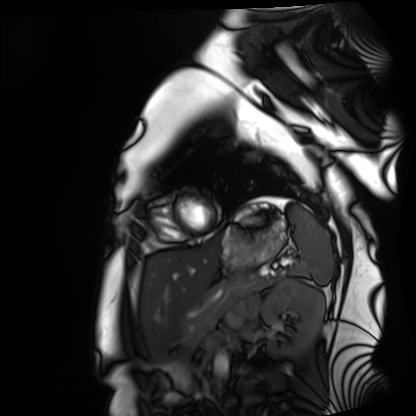
Q: What kind of scan is this?
A: Cardiac MRI.
Subject group: healthy volunteer.